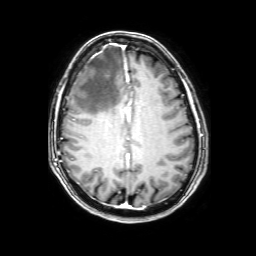
Summary:
3 Tesla brain MRI. Series: 3D T1-weighted with SENSE. Study: ring-enhancing brain masses.